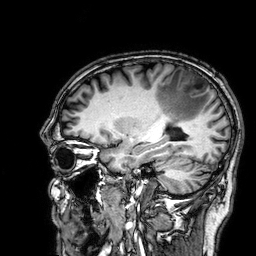
– modality: 3 Tesla brain MRI
– series: 3D T1-weighted
– study: ring-enhancing brain masses